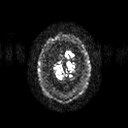
Q: What kind of scan is this?
A: 3 Tesla brain MRI.
Q: Series?
A: Diffusion tensor imaging (medium iso).
Study: ring-enhancing brain masses.